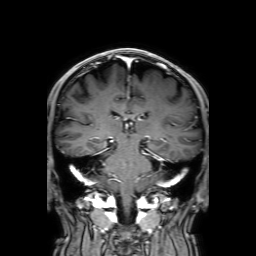
* modality: 3 Tesla brain MRI
* series: 3D T1-weighted with SENSE
* study: ring-enhancing brain masses